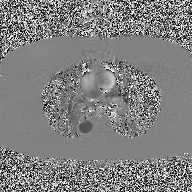
Summary: 2D phase-contrast cine MRI of the ascending aorta, high-resolution GRAPPA acquisition.